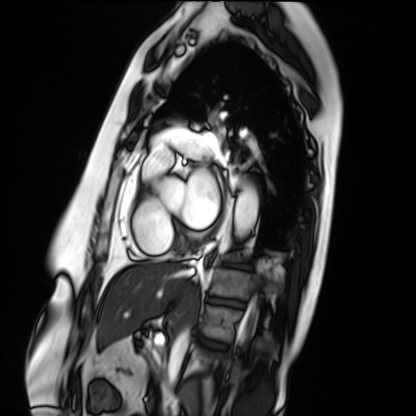
| field | value |
|---|---|
| modality | cardiac MRI |
| subject group | patient |